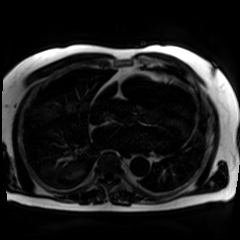
modality: chemical-shift-encoded cardiac MRI